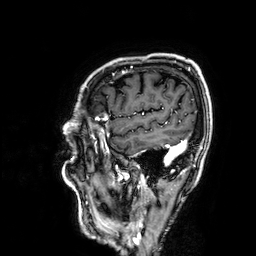
3 Tesla brain MRI. Series: 3D T1-weighted. Study: ring-enhancing brain masses.